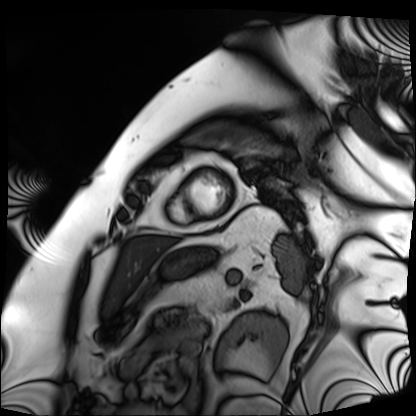
modality=cardiac MRI | subject group=patient.